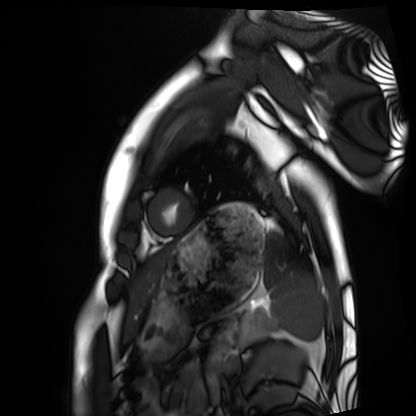
– modality — cardiac MRI
– subject group — healthy volunteer